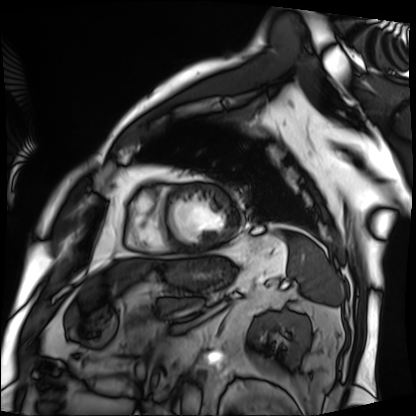
Cardiac MRI. Subject group: patient.